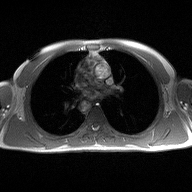
2D phase-contrast cine MRI of the ascending aorta, high-resolution GRAPPA acquisition.